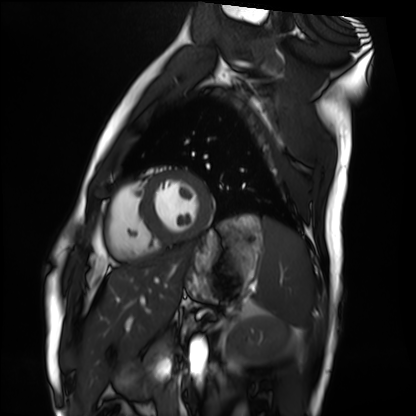
Clinical context:
Cardiac MRI. Subject group: healthy volunteer.